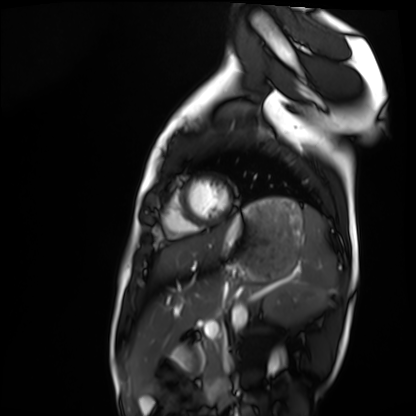
| field | value |
|---|---|
| modality | cardiac MRI |
| subject group | healthy volunteer |